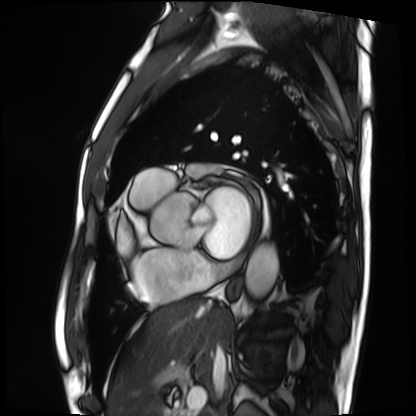
Cardiac MRI. Subject group: patient.